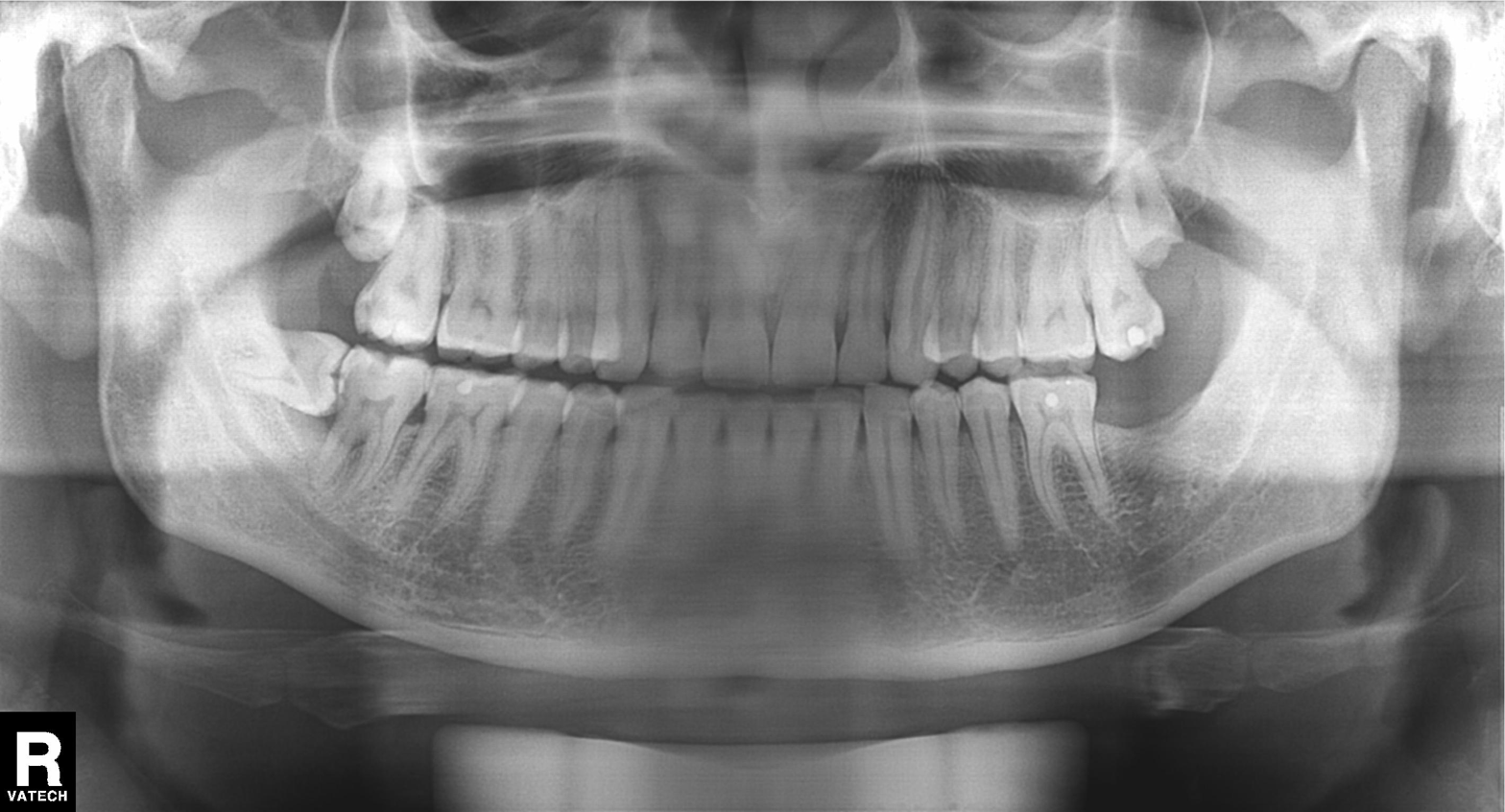
{
  "modality": "panoramic dental radiograph (orthopantomogram)",
  "finding": "alveolar bone loss"
}